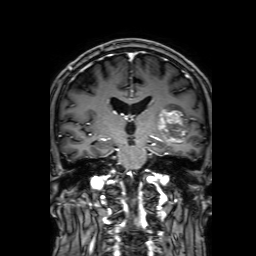
– modality: 3 Tesla brain MRI
– series: 3D T1-weighted with SENSE
– study: ring-enhancing brain masses